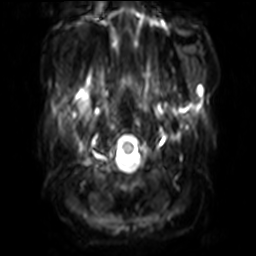
3 Tesla brain MRI. Series: diffusion-weighted imaging with SENSE (WIP). Study: ring-enhancing brain masses.